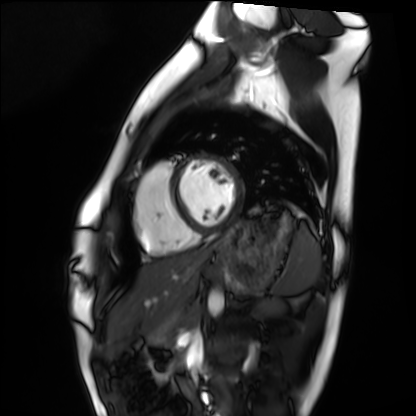
{
  "modality": "cardiac MRI",
  "cohort": "healthy volunteer"
}